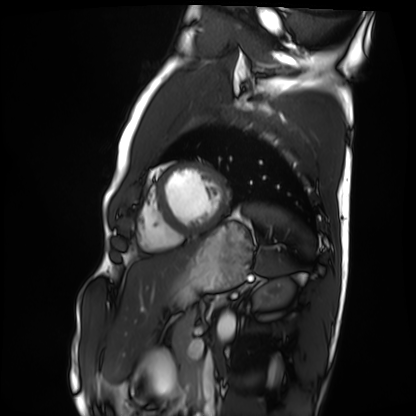
Cardiac MRI. Subject group: healthy volunteer.